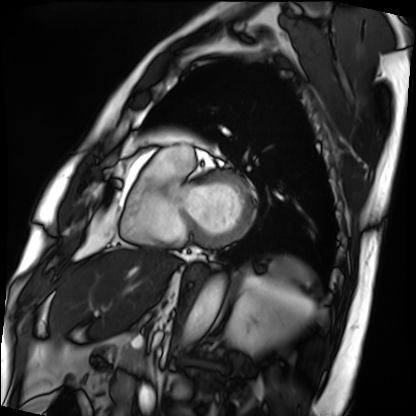
{
  "modality": "cardiac MRI",
  "cohort": "patient"
}